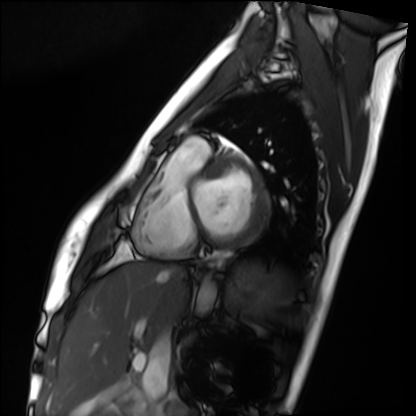
Summary:
Cardiac MRI. Subject group: healthy volunteer.